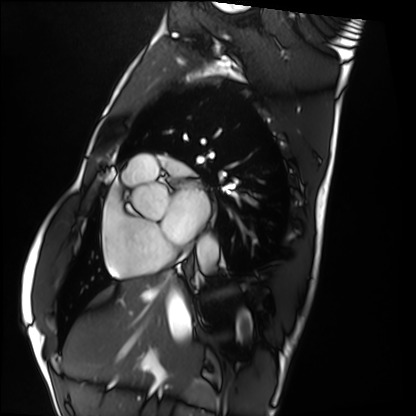
modality=cardiac MRI; subject group=healthy volunteer.